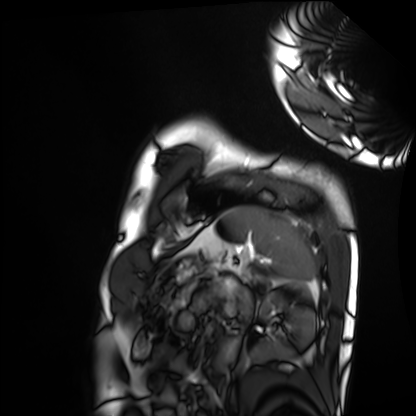
modality: cardiac MRI | subject group: healthy volunteer.